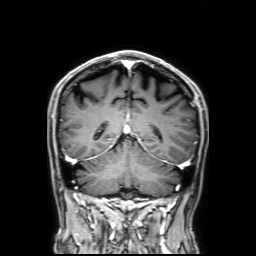
<study>
<modality>
  <type>brain MRI</type>
  <field_strength>3T</field_strength>
</modality>
<series>3D T1-weighted with SENSE</series>
<study_topic>ring-enhancing brain masses</study_topic>
</study>